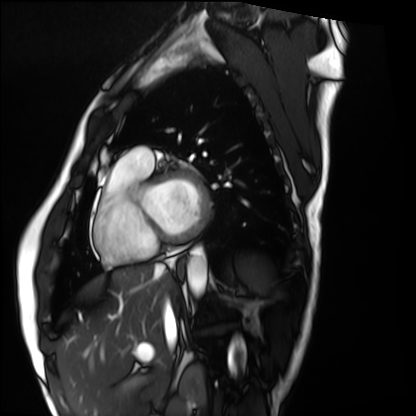
Cardiac MRI. Subject group: healthy volunteer.